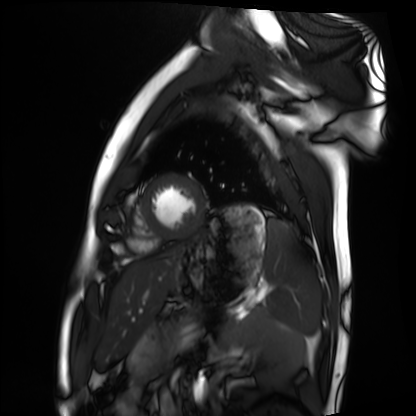
Case:
– modality · cardiac MRI
– subject group · healthy volunteer